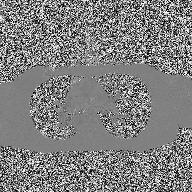
2D phase-contrast cine MRI of the ascending aorta, high-resolution GRAPPA acquisition.